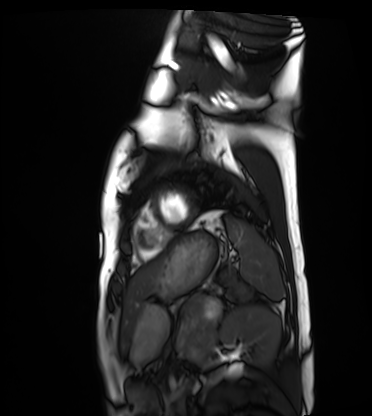
Clinical context: Cardiac MRI. Subject group: healthy volunteer.